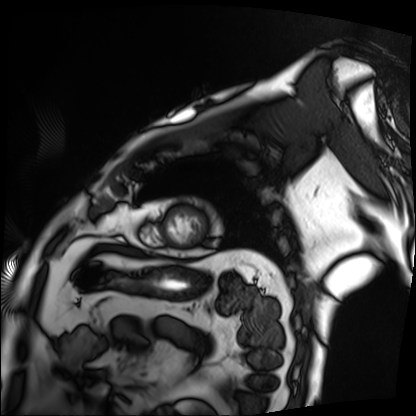
Case summary: Cardiac MRI. Subject group: patient.